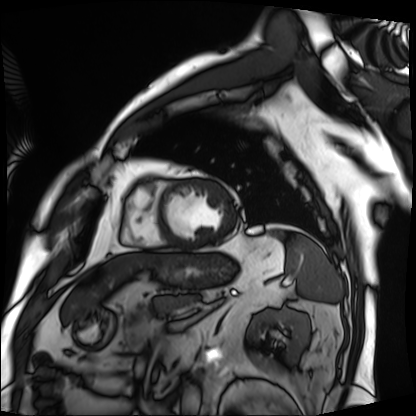
modality: cardiac MRI; subject group: patient.